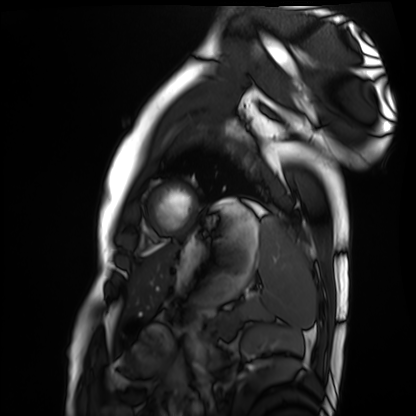
Cardiac MRI. Subject group: healthy volunteer.